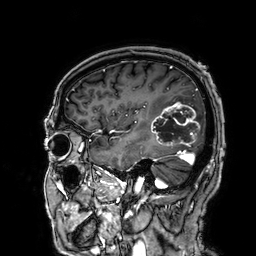
3 Tesla brain MRI.
Series: 3D T1-weighted.
Study: ring-enhancing brain masses.